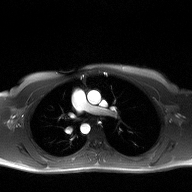
modality: 2D phase-contrast cine MRI of the ascending aorta.